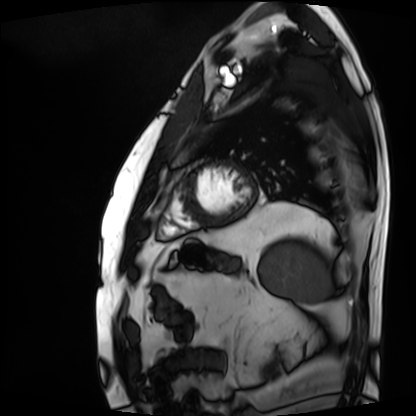
<scan>
<modality>cardiac MRI</modality>
<cohort>patient</cohort>
</scan>